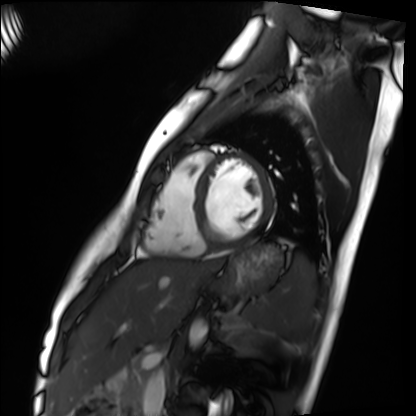
modality: cardiac MRI | subject group: healthy volunteer.